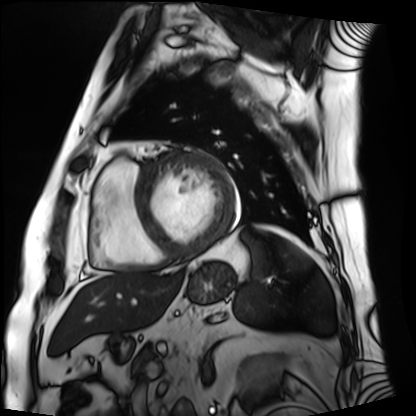
{
  "modality": "cardiac MRI",
  "cohort": "patient"
}